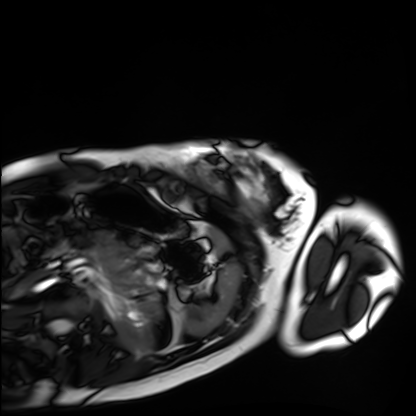
Case:
– modality — cardiac MRI
– subject group — healthy volunteer